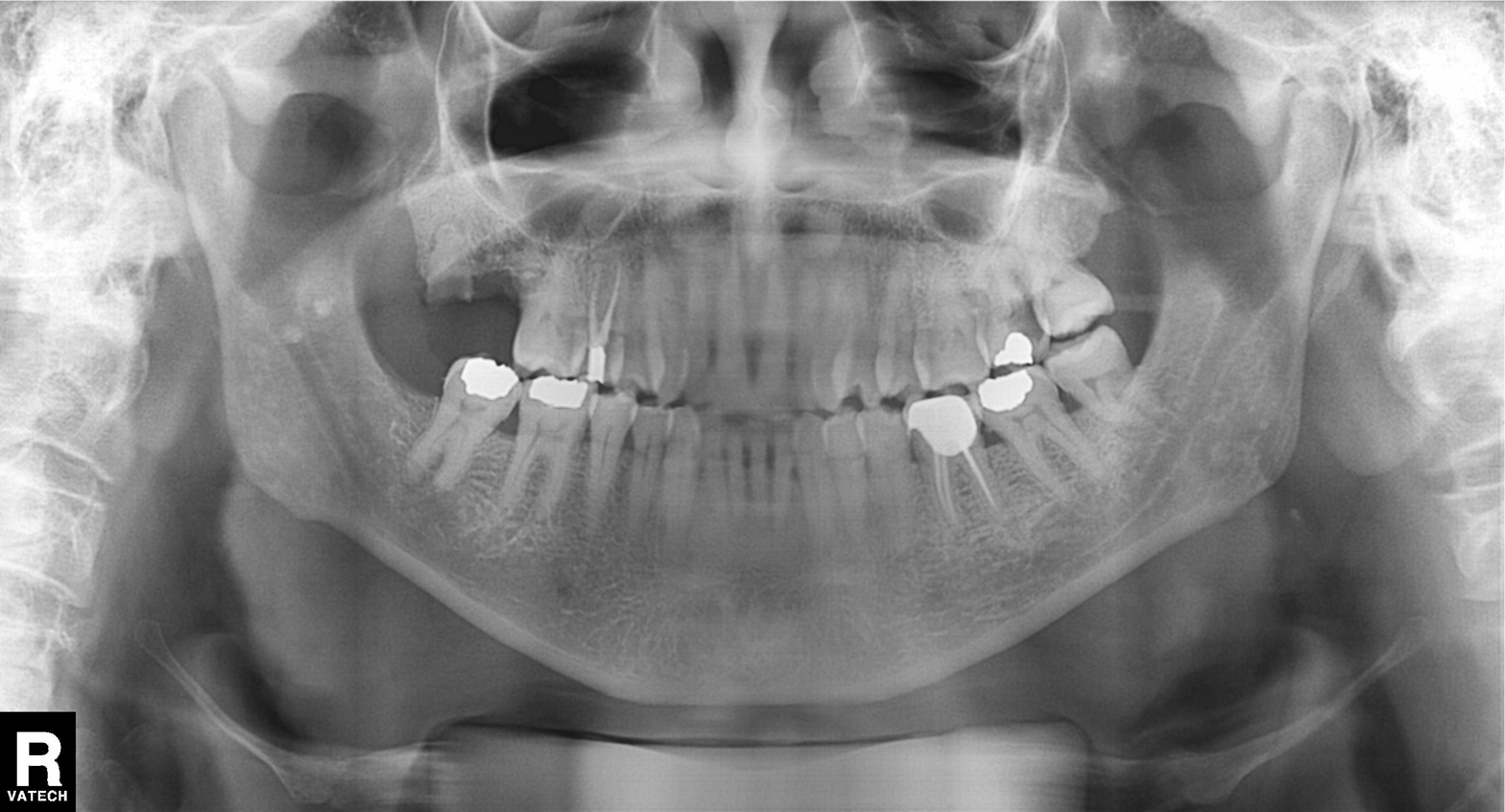
Case summary: Panoramic dental radiograph (orthopantomogram).
Diagnosis: Alveolar bone loss.